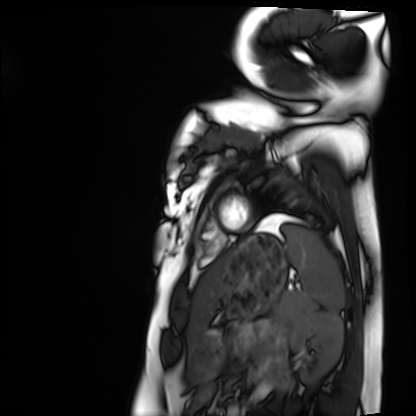
modality = cardiac MRI; subject group = healthy volunteer.